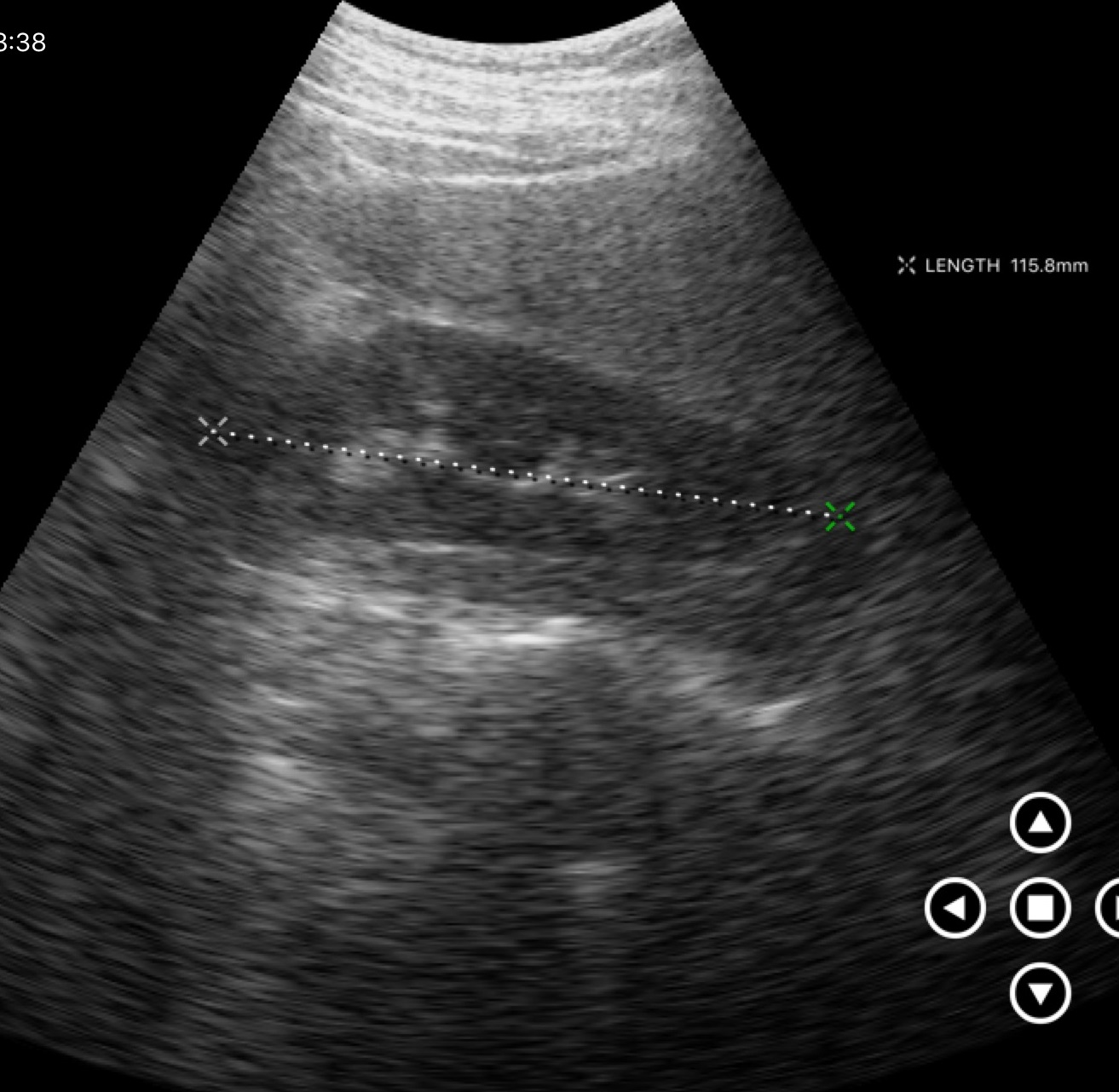
Summary:
Genitourinary ultrasound.